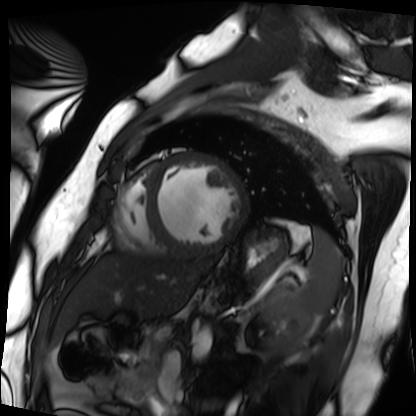
| field | value |
|---|---|
| modality | cardiac MRI |
| subject group | patient |